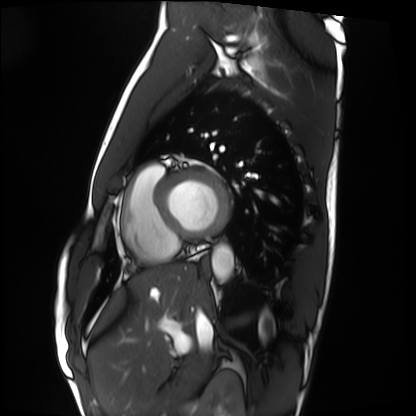
modality: cardiac MRI; subject group: healthy volunteer.